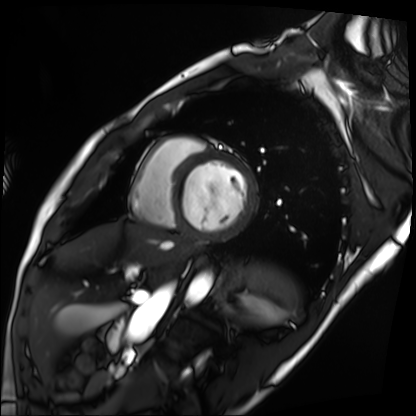
Summary: Cardiac MRI. Subject group: patient.